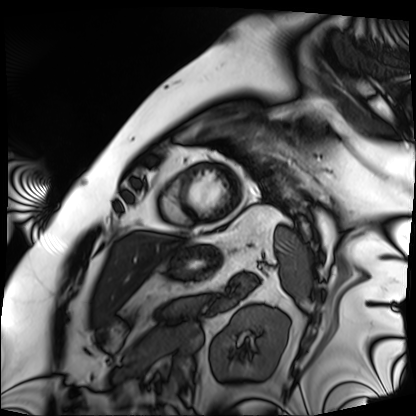
modality: cardiac MRI | subject group: patient.